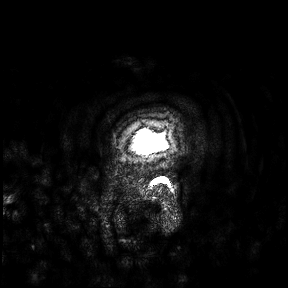
Q: What kind of scan is this?
A: 3 Tesla brain MRI.
Study: ring-enhancing brain masses.